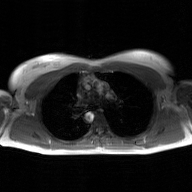
modality: 2D phase-contrast cine MRI of the ascending aorta, GAN super-resolution reconstruction